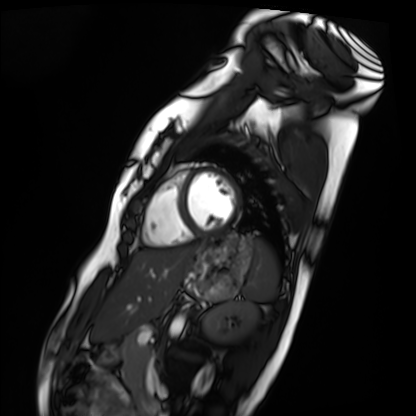
Cardiac MRI. Subject group: healthy volunteer.